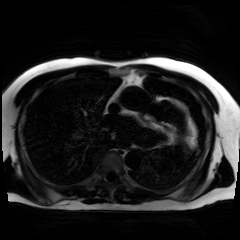
Chemical-shift-encoded cardiac MRI.